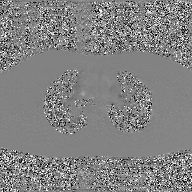
2D phase-contrast cine MRI of the ascending aorta, GAN super-resolution reconstruction.